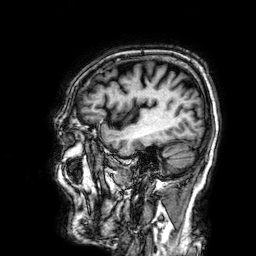
Summary: 3 Tesla brain MRI. Series: 3D T1-weighted. Study: ring-enhancing brain masses.